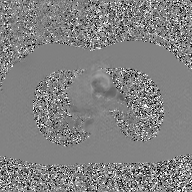
Case:
• modality: 2D phase-contrast cine MRI of the ascending aorta, GAN super-resolution reconstruction